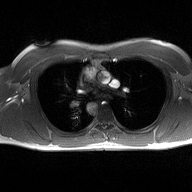
Summary:
2D phase-contrast cine MRI of the ascending aorta, high-resolution GRAPPA acquisition.